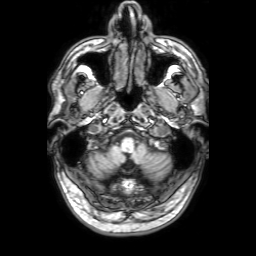
| field | value |
|---|---|
| modality | 3 Tesla brain MRI |
| series | 3D T1-weighted with SENSE |
| study | ring-enhancing brain masses |